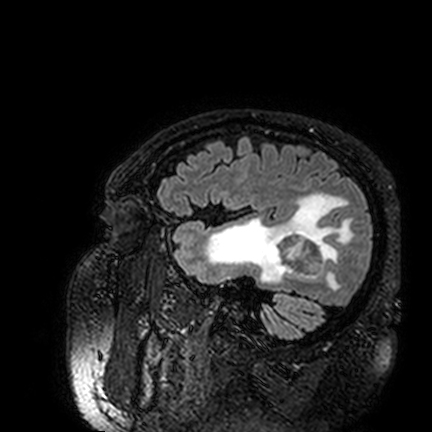
Case:
• modality · 3 Tesla brain MRI
• series · FLAIR VISTA
• study · ring-enhancing brain masses